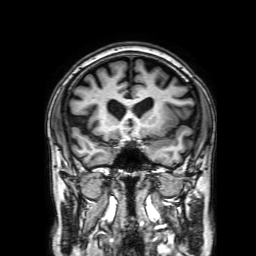
modality = 3 Tesla brain MRI; series = 3D T1-weighted with SENSE; study = ring-enhancing brain masses.